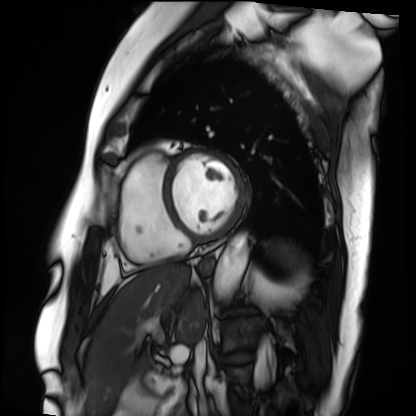
<scan>
<modality>cardiac MRI</modality>
<cohort>patient</cohort>
</scan>